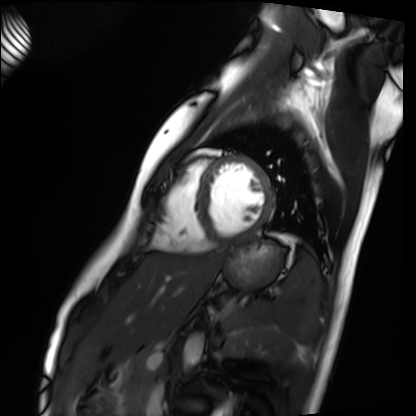
modality = cardiac MRI
subject group = healthy volunteer